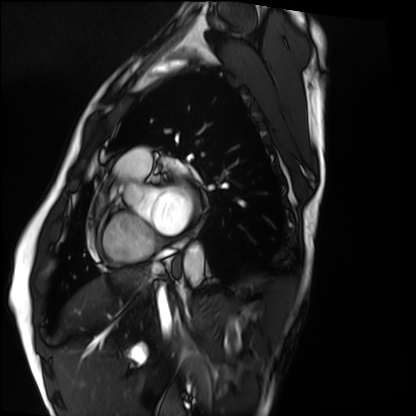
modality: cardiac MRI
subject group: healthy volunteer